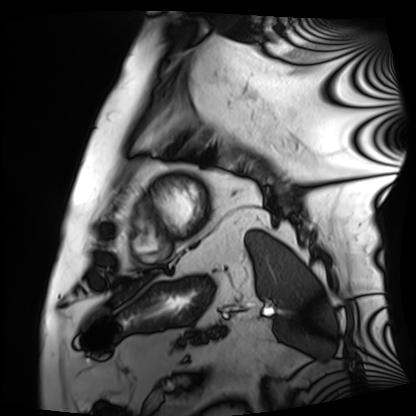
Cardiac MRI.
Subject group: patient.